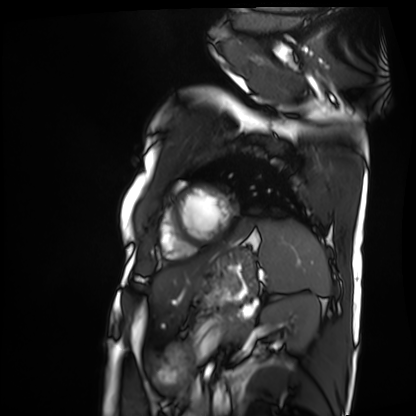
* modality — cardiac MRI
* subject group — patient